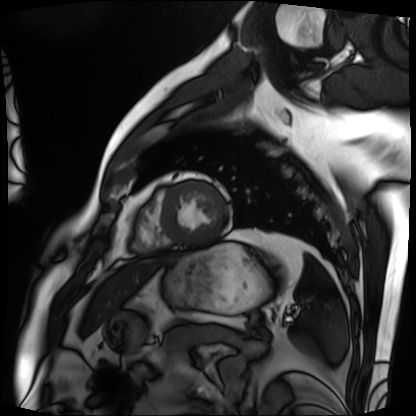
Cardiac MRI. Subject group: patient.